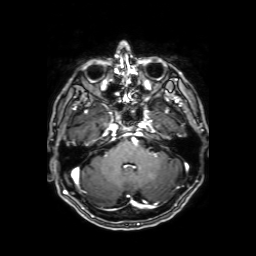
3 Tesla brain MRI. Series: axial T1-weighted fusion image. Study: ring-enhancing brain masses.